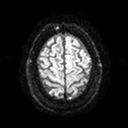
Q: What kind of scan is this?
A: 3 Tesla brain MRI.
Q: Series?
A: Diffusion tensor imaging (medium iso).
Study: ring-enhancing brain masses.